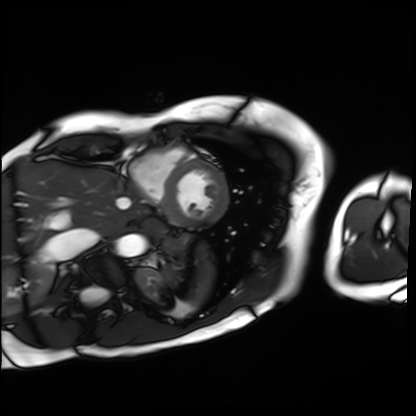
Cardiac MRI. Subject group: patient.